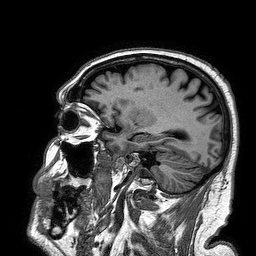
modality: 3 Tesla brain MRI
series: 3D T1-weighted turbo field echo
study: ring-enhancing brain masses